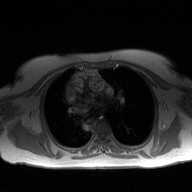
Case:
* modality: 2D phase-contrast cine MRI of the ascending aorta